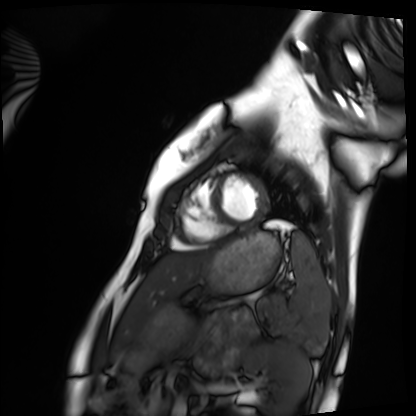
Q: What kind of scan is this?
A: Cardiac MRI.
Subject group: healthy volunteer.